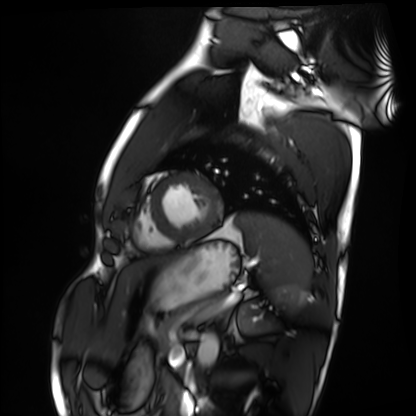
Clinical context: Cardiac MRI. Subject group: healthy volunteer.